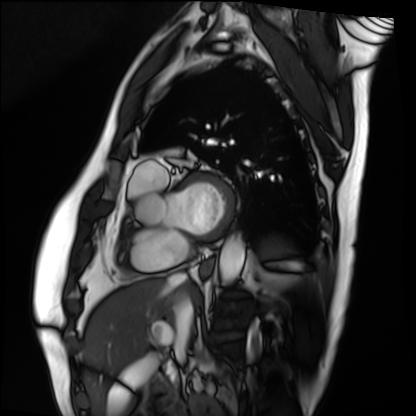
modality = cardiac MRI; subject group = patient.